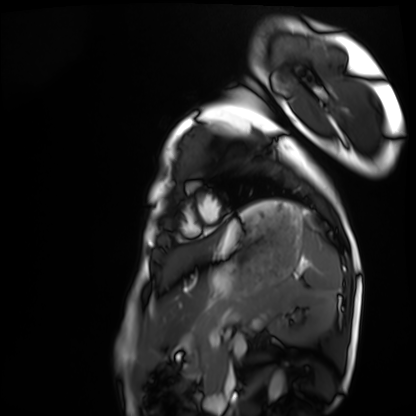
{"modality": "cardiac MRI", "cohort": "healthy volunteer"}